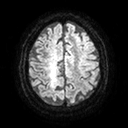
3 Tesla brain MRI.
Series: diffusion tensor imaging (medium iso).
Study: ring-enhancing brain masses.